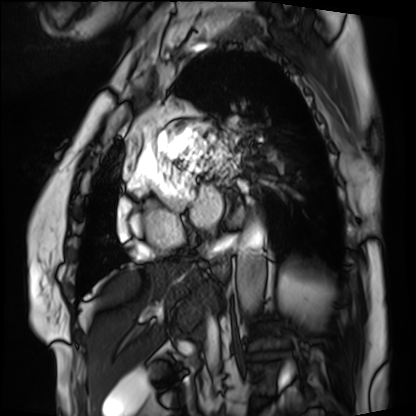
Summary: Cardiac MRI. Subject group: patient.